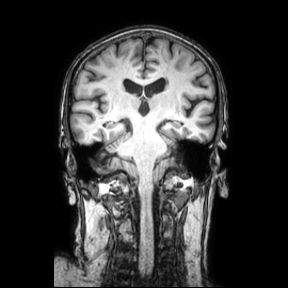
Summary:
3 Tesla brain MRI. Series: coronal. Study: ring-enhancing brain masses.